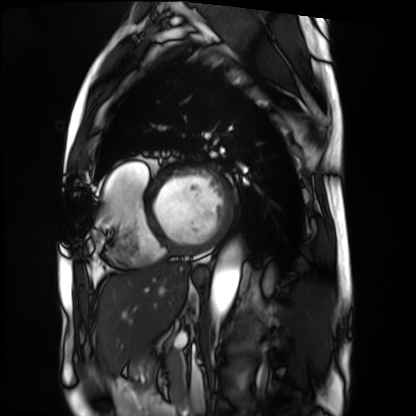
Summary: Cardiac MRI. Subject group: patient.